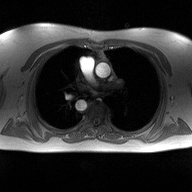
2D phase-contrast cine MRI of the ascending aorta, high-resolution GRAPPA acquisition.